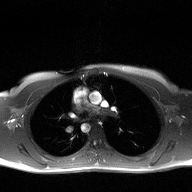
• modality: 2D phase-contrast cine MRI of the ascending aorta